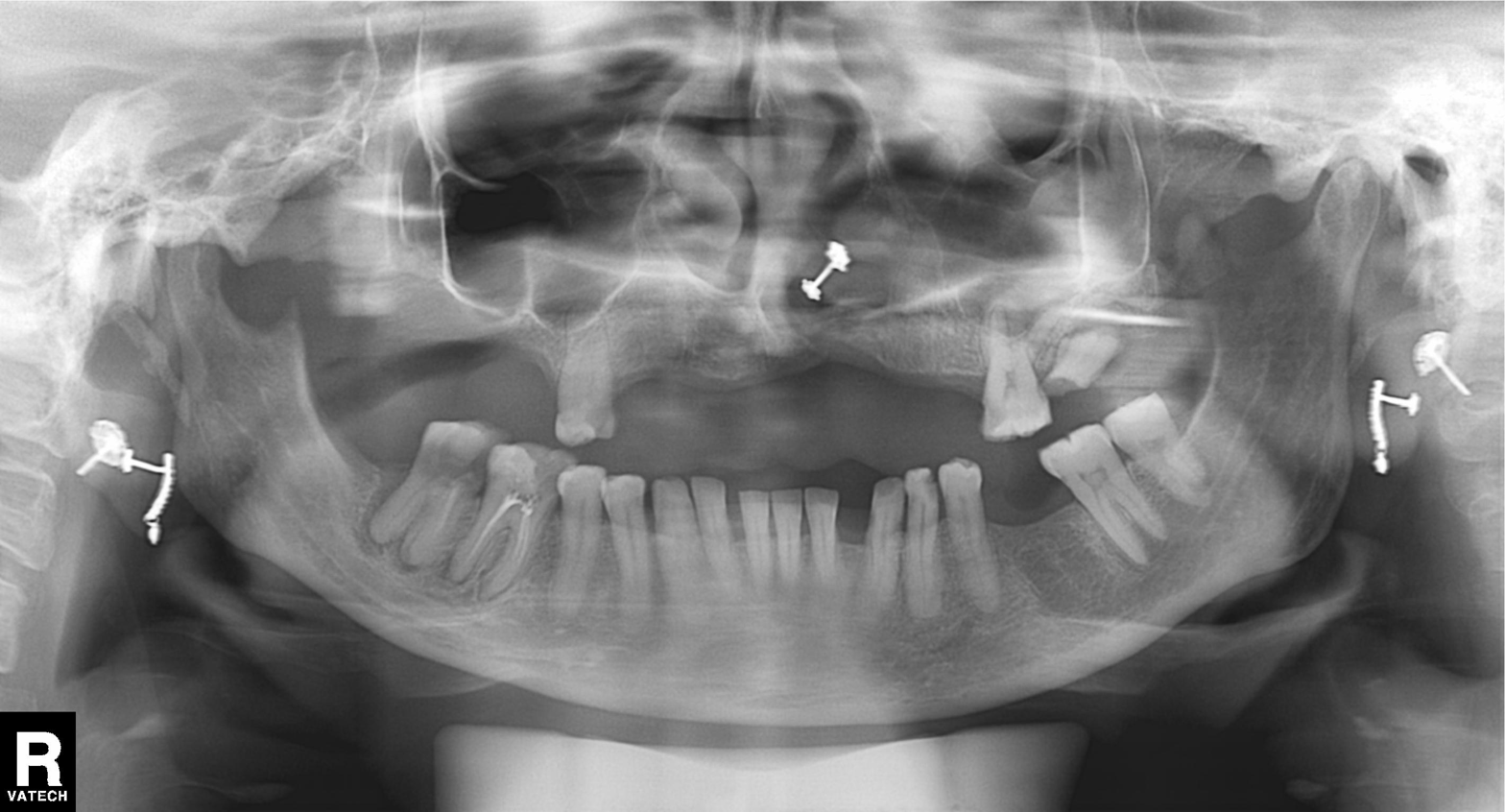
  modality: panoramic dental radiograph (orthopantomogram)
  finding: alveolar bone loss